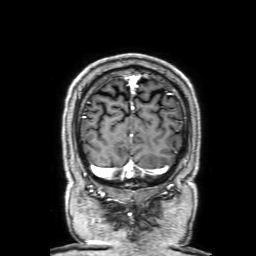
modality: 3 Tesla brain MRI; series: 3D T1-weighted with SENSE; study: ring-enhancing brain masses.